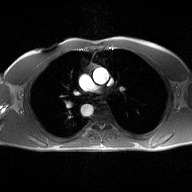
Summary:
2D phase-contrast cine MRI of the ascending aorta, high-resolution GRAPPA acquisition.